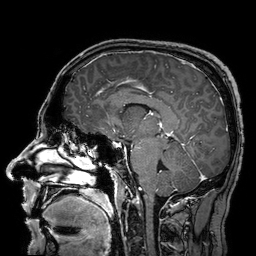
* modality — 3 Tesla brain MRI
* study — ring-enhancing brain masses